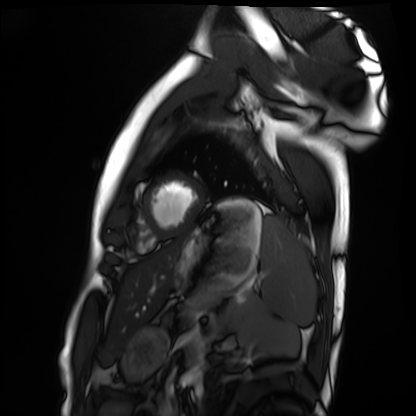
Cardiac MRI. Subject group: healthy volunteer.